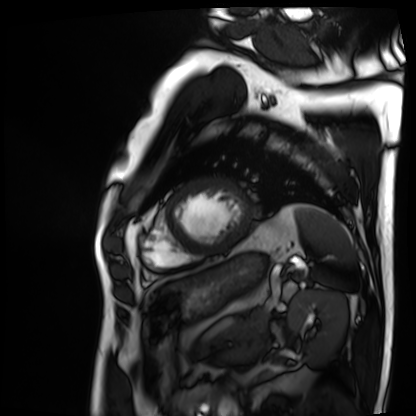
Q: What kind of scan is this?
A: Cardiac MRI.
Subject group: patient.